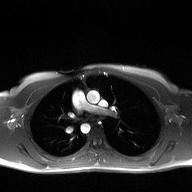
Q: What kind of scan is this?
A: 2D phase-contrast cine MRI of the ascending aorta.